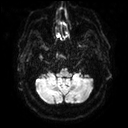
3 Tesla brain MRI. Series: diffusion tensor imaging (medium iso). Study: ring-enhancing brain masses.